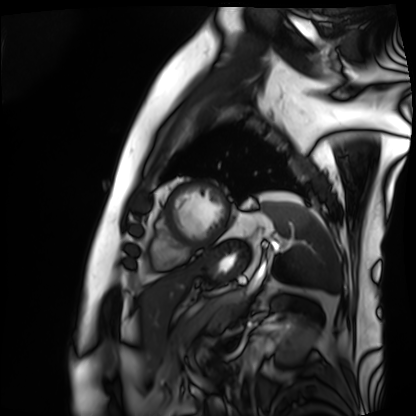
modality=cardiac MRI | subject group=patient.